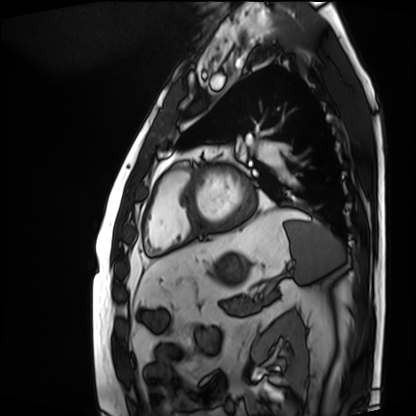
Cardiac MRI.
Subject group: patient.